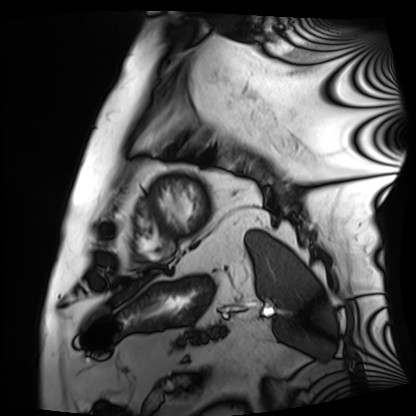
| field | value |
|---|---|
| modality | cardiac MRI |
| subject group | patient |